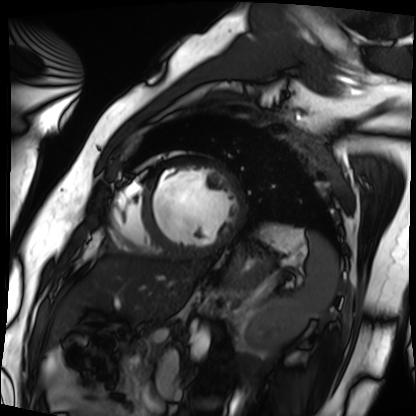
Cardiac MRI. Subject group: patient.